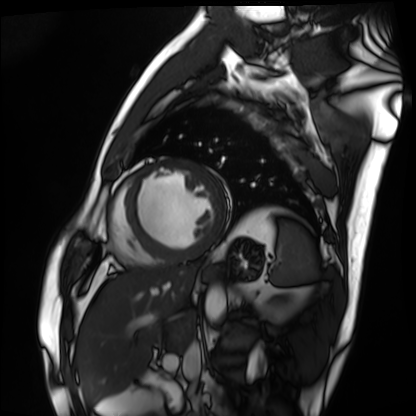
Summary:
Cardiac MRI. Subject group: patient.